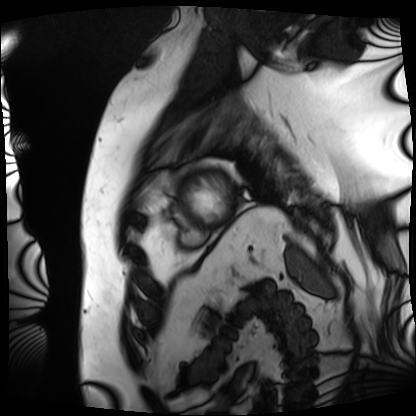
Cardiac MRI. Subject group: patient.